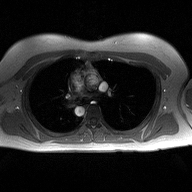
2D phase-contrast cine MRI of the ascending aorta, high-resolution GRAPPA acquisition.